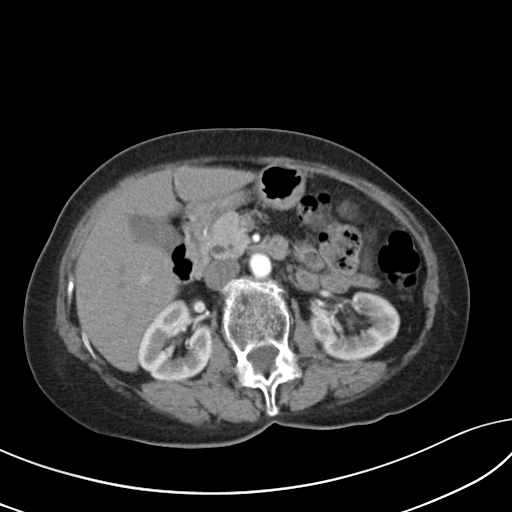
Q: What kind of scan is this?
A: Multiphase abdominal CT, liver, arterial phase.
Q: Patient?
A: Female, age 67.